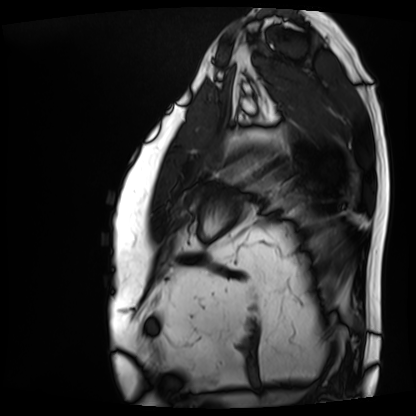
Cardiac MRI. Subject group: patient.